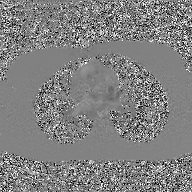
2D phase-contrast cine MRI of the ascending aorta, GAN super-resolution reconstruction.